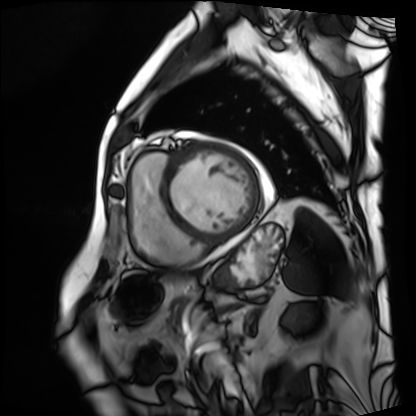
Cardiac MRI. Subject group: patient.